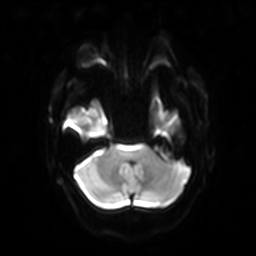
3 Tesla brain MRI.
Series: diffusion-weighted imaging with SENSE (WIP).
Study: ring-enhancing brain masses.